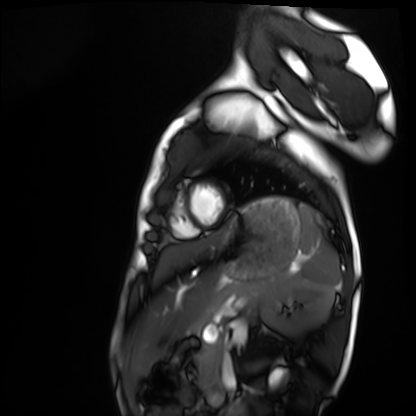
Cardiac MRI. Subject group: healthy volunteer.